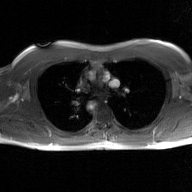
Summary: 2D phase-contrast cine MRI of the ascending aorta, GAN super-resolution reconstruction.